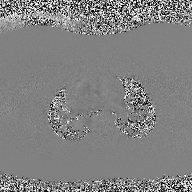
modality: 2D phase-contrast cine MRI of the ascending aorta